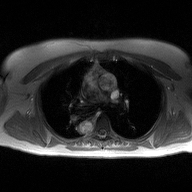
Clinical context: 2D phase-contrast cine MRI of the ascending aorta, high-resolution GRAPPA acquisition.